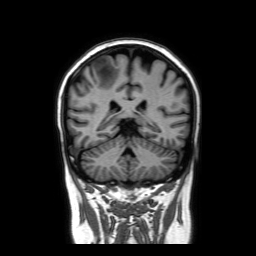
modality — 3 Tesla brain MRI
series — coronal without contrast
study — ring-enhancing brain masses